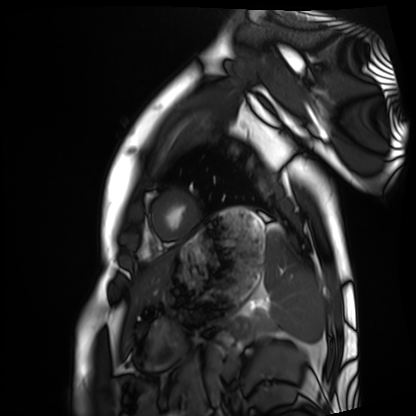
Cardiac MRI. Subject group: healthy volunteer.